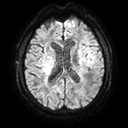
Summary: 3 Tesla brain MRI. Series: diffusion tensor imaging (medium iso). Study: ring-enhancing brain masses.